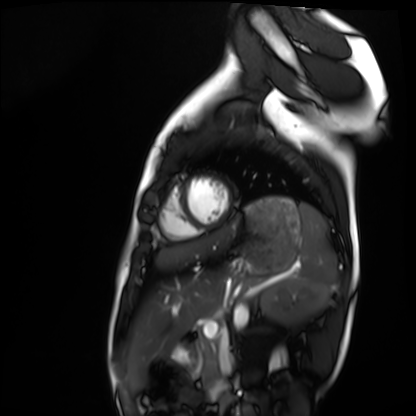
Clinical context:
Cardiac MRI. Subject group: healthy volunteer.